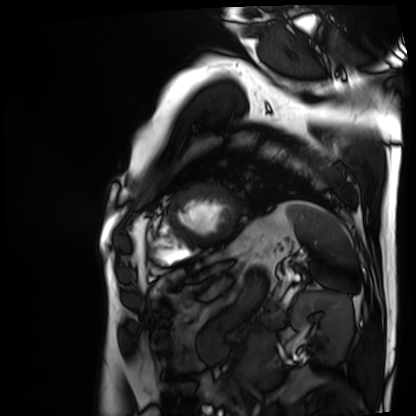
Cardiac MRI.
Subject group: patient.